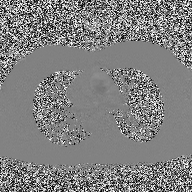
2D phase-contrast cine MRI of the ascending aorta, high-resolution GRAPPA acquisition.